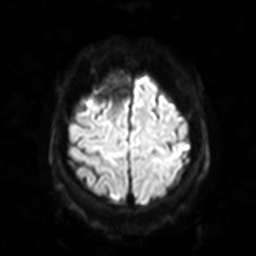
Summary:
3 Tesla brain MRI. Series: diffusion-weighted imaging with SENSE (WIP). Study: ring-enhancing brain masses.